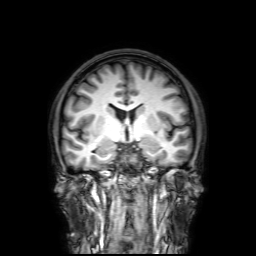
modality: 3 Tesla brain MRI; series: 3D T1-weighted with SENSE; study: ring-enhancing brain masses.